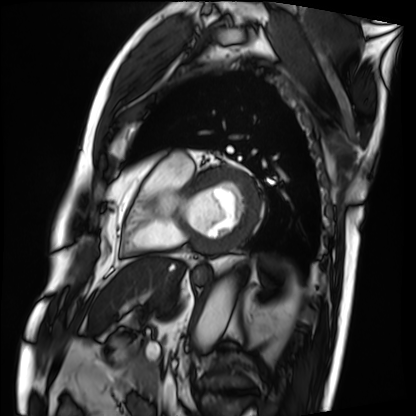
Summary: Cardiac MRI. Subject group: patient.